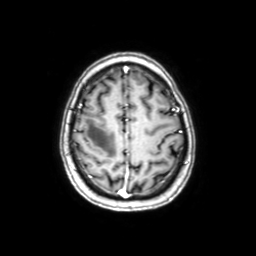
modality: 3 Tesla brain MRI | series: axial with contrast | study: ring-enhancing brain masses.